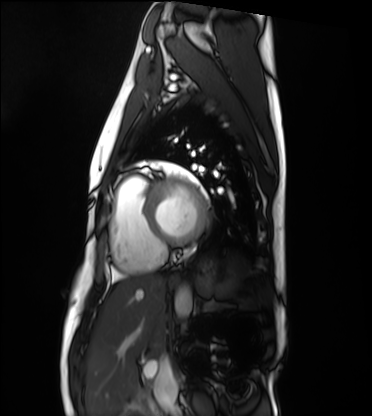
Cardiac MRI. Subject group: healthy volunteer.